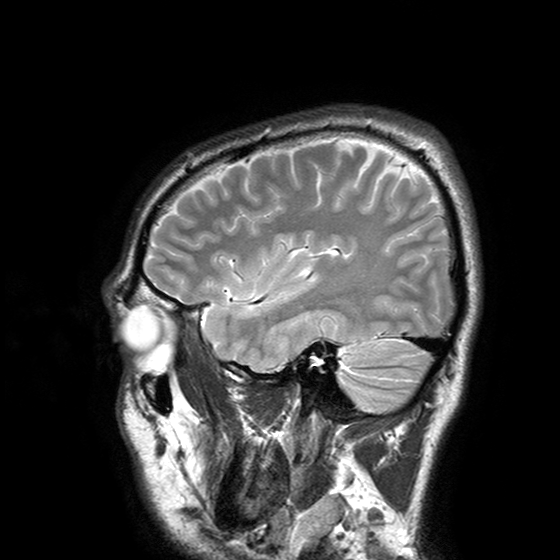
Case summary: 3 Tesla brain MRI. Study: ring-enhancing brain masses.